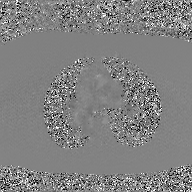
{"modality": {"type": "2D phase-contrast cine MRI", "region": "ascending aorta", "reconstruction": "GAN super-resolution reconstruction"}}